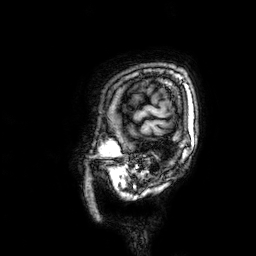
modality: 3 Tesla brain MRI; study: ring-enhancing brain masses.